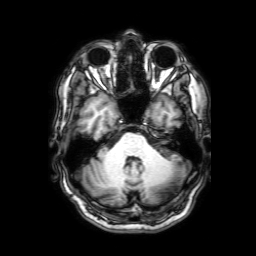
{"modality": {"type": "brain MRI", "field_strength": "3T"}, "series": "3D T1-weighted with SENSE", "study_topic": "ring-enhancing brain masses"}